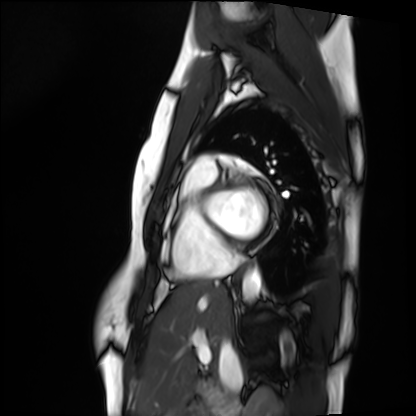
Cardiac MRI. Subject group: healthy volunteer.